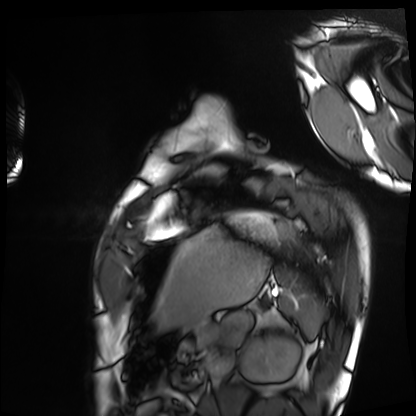
Cardiac MRI. Subject group: healthy volunteer.